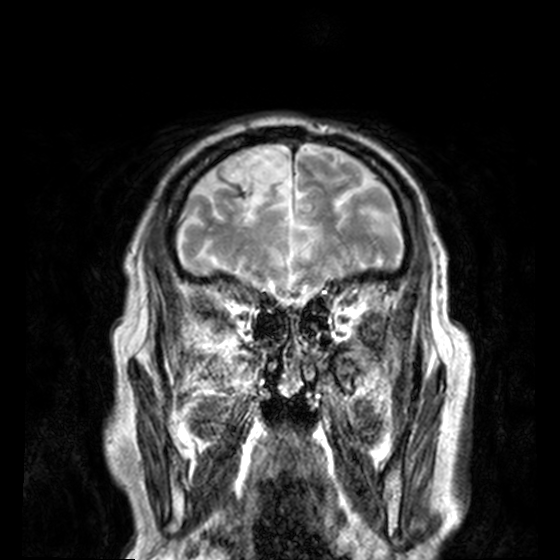
3 Tesla brain MRI.
Series: T2-weighted turbo spin echo, 3 mm.
Study: ring-enhancing brain masses.